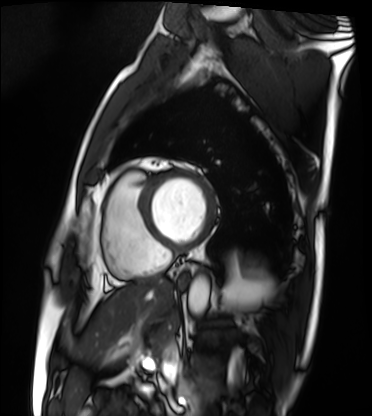
Q: What kind of scan is this?
A: Cardiac MRI.
Subject group: patient.